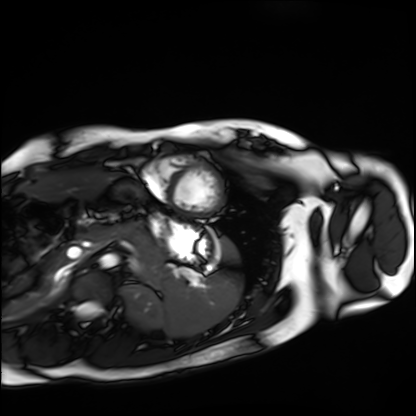
Cardiac MRI. Subject group: healthy volunteer.